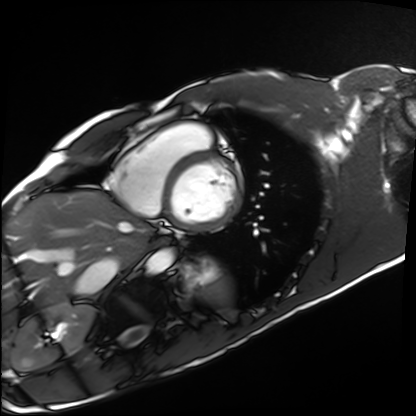
Cardiac MRI.
Subject group: healthy volunteer.